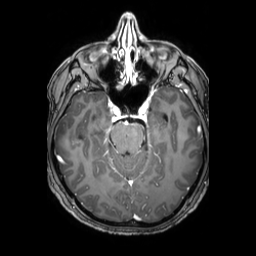
3 Tesla brain MRI. Series: 3D T1-weighted TFE with SENSE. Study: ring-enhancing brain masses.